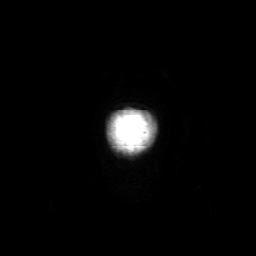
3 Tesla brain MRI. Series: 3D T1-weighted with SENSE. Study: ring-enhancing brain masses.